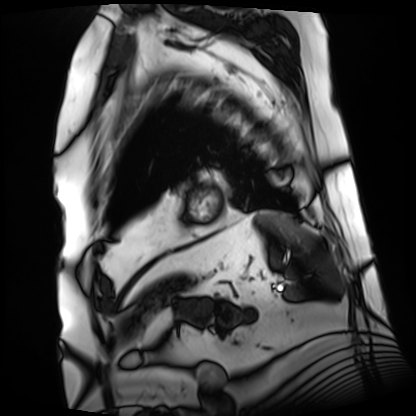
  modality: cardiac MRI
  cohort: patient